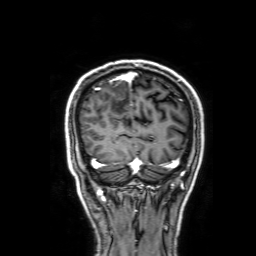
| field | value |
|---|---|
| modality | 3 Tesla brain MRI |
| series | 3D T1-weighted with SENSE |
| study | ring-enhancing brain masses |